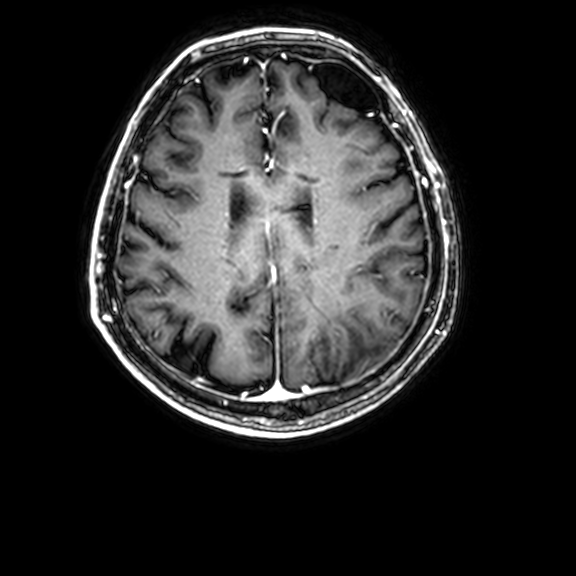
| field | value |
|---|---|
| modality | 3 Tesla brain MRI |
| series | 3D T1-weighted with CLEAR |
| study | ring-enhancing brain masses |